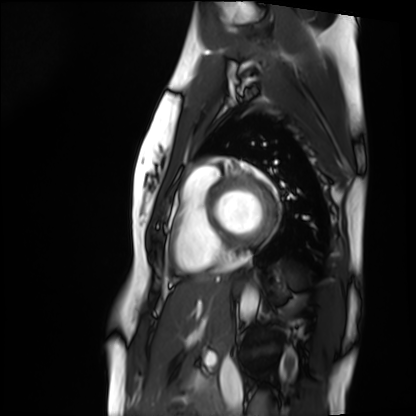
Summary:
Cardiac MRI. Subject group: healthy volunteer.